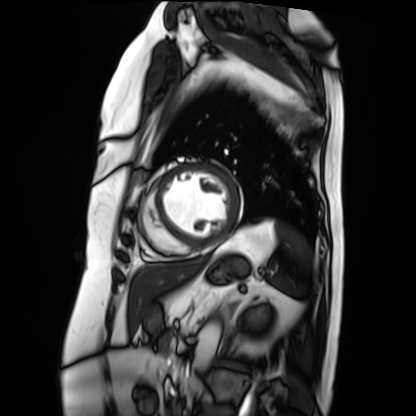
Cardiac MRI. Subject group: patient.